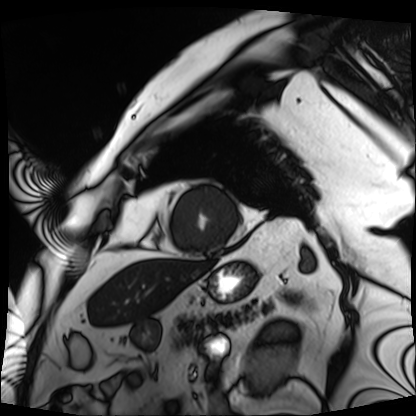
modality: cardiac MRI, subject group: patient.